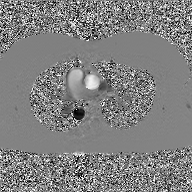
Q: What kind of scan is this?
A: 2D phase-contrast cine MRI of the ascending aorta, GAN super-resolution reconstruction.